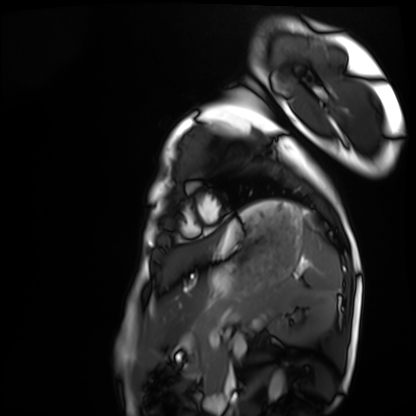
Cardiac MRI. Subject group: healthy volunteer.